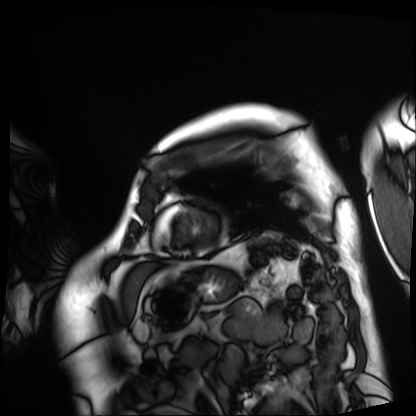
Summary:
Cardiac MRI. Subject group: patient.